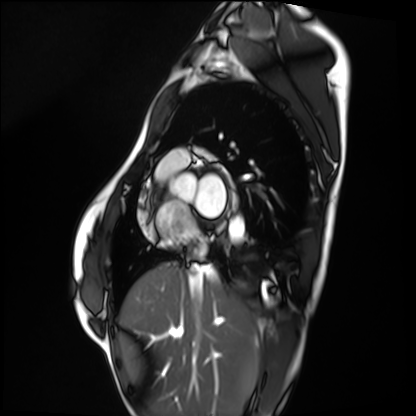
Cardiac MRI. Subject group: healthy volunteer.